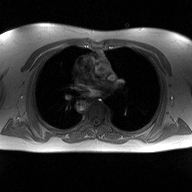
– modality · 2D phase-contrast cine MRI of the ascending aorta